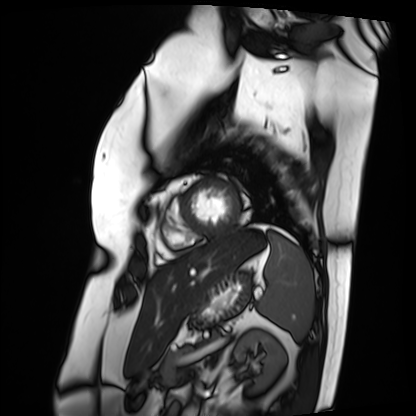
Cardiac MRI. Subject group: patient.